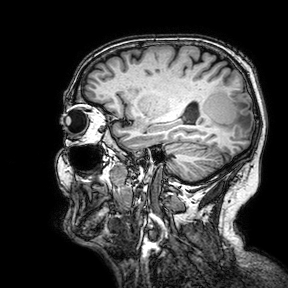
3 Tesla brain MRI. Series: 3D T1-weighted turbo field echo with SENSE. Study: ring-enhancing brain masses.